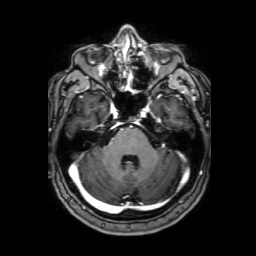
3 Tesla brain MRI. Series: 3D T1-weighted with SENSE. Study: ring-enhancing brain masses.